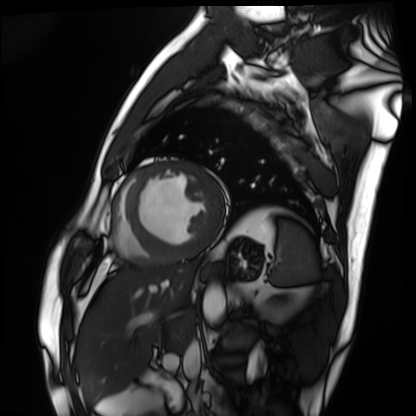
<case>
<modality>cardiac MRI</modality>
<cohort>patient</cohort>
</case>